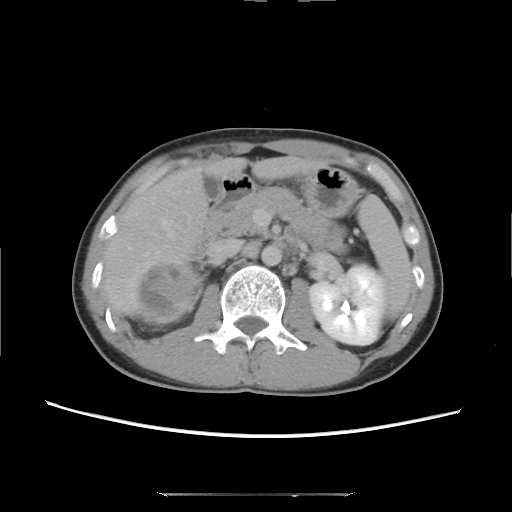
Clinical context:
Multiphase abdominal CT, liver, delayed phase. Patient: male, age 39.